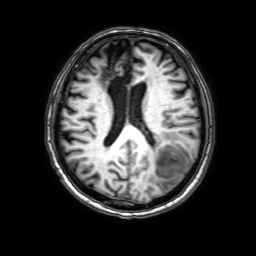
Summary: 3 Tesla brain MRI. Series: 3D T1-weighted with SENSE. Study: ring-enhancing brain masses.